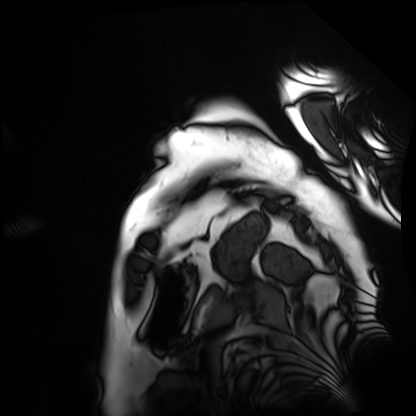
Clinical context:
Cardiac MRI. Subject group: patient.